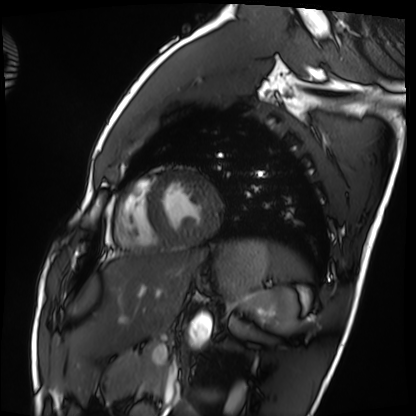
* modality — cardiac MRI
* subject group — healthy volunteer